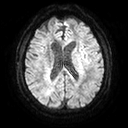
modality: 3 Tesla brain MRI; series: diffusion tensor imaging (medium iso); study: ring-enhancing brain masses.